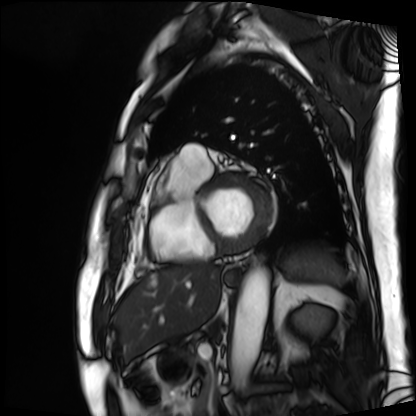
Clinical context: Cardiac MRI. Subject group: patient.